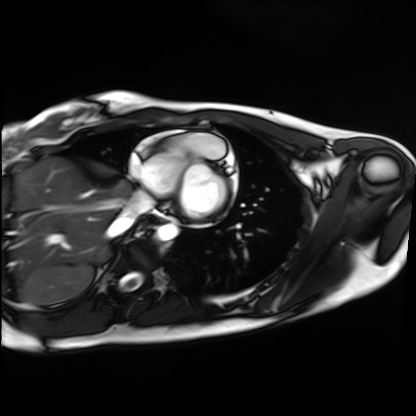
Q: What kind of scan is this?
A: Cardiac MRI.
Subject group: healthy volunteer.